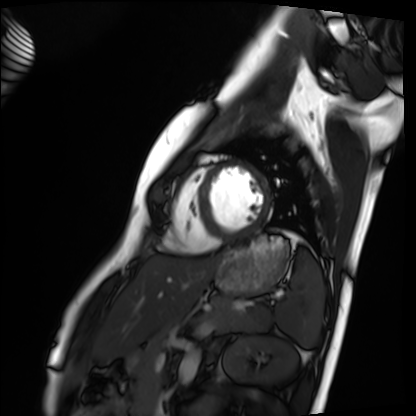
Summary:
Cardiac MRI. Subject group: healthy volunteer.